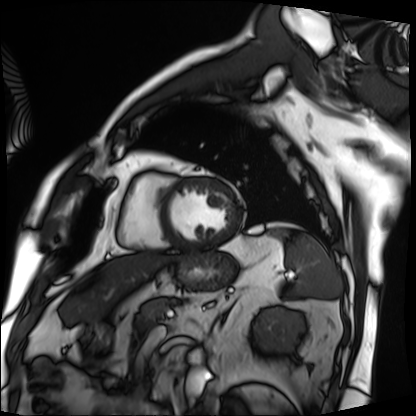
Clinical context:
Cardiac MRI. Subject group: patient.